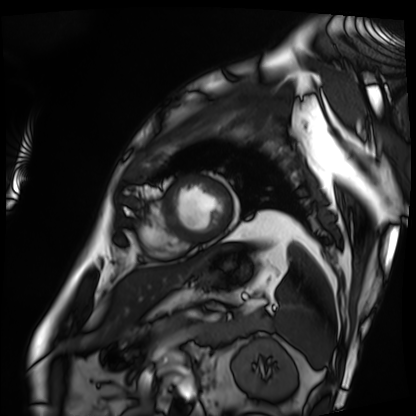
Cardiac MRI. Subject group: patient.